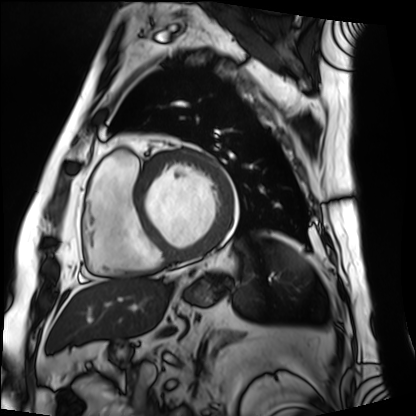
  modality: cardiac MRI
  cohort: patient